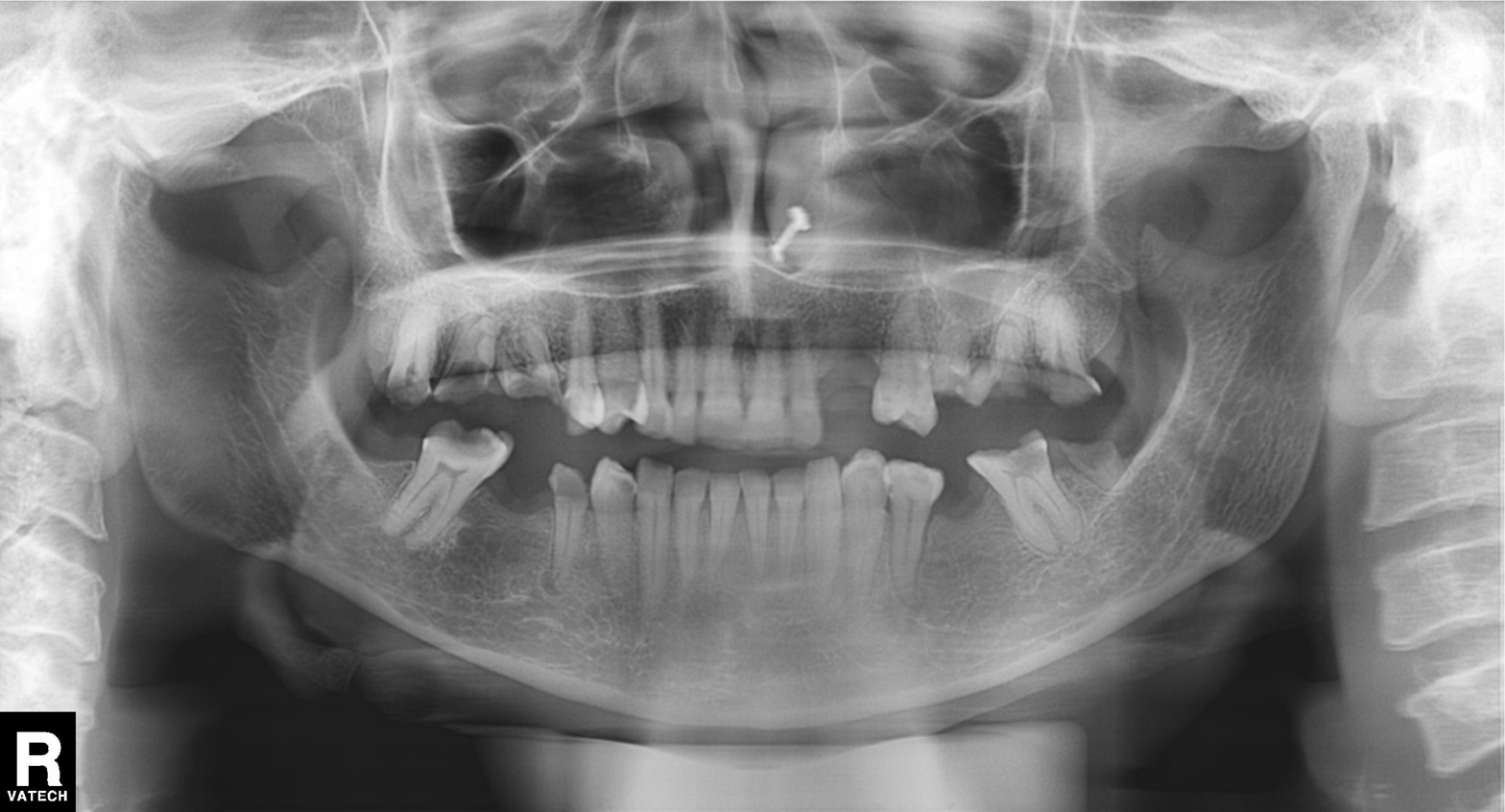
Panoramic dental radiograph (orthopantomogram).
Finding: tooth impaction.